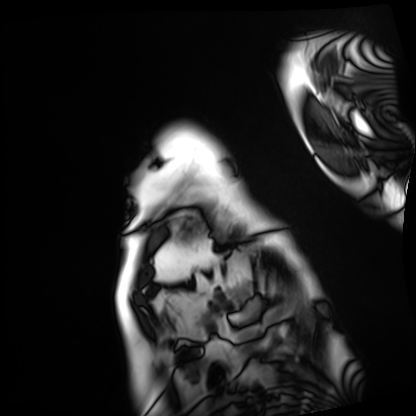
Cardiac MRI. Subject group: patient.